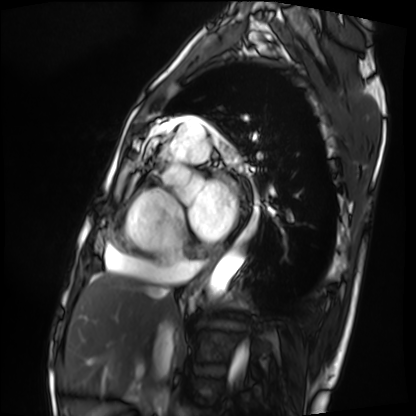
Case summary:
Cardiac MRI. Subject group: patient.